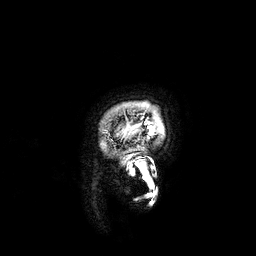
modality: 3 Tesla brain MRI
series: 3D T1-weighted
study: ring-enhancing brain masses